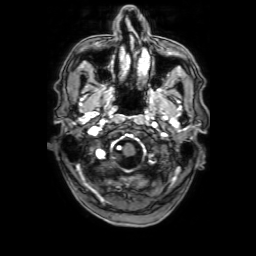
modality: 3 Tesla brain MRI
series: 3D T1-weighted with SENSE
study: ring-enhancing brain masses